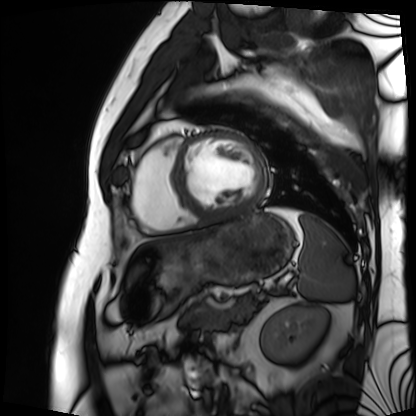
modality: cardiac MRI
subject group: patient